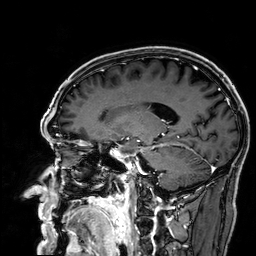
| field | value |
|---|---|
| modality | 3 Tesla brain MRI |
| study | ring-enhancing brain masses |